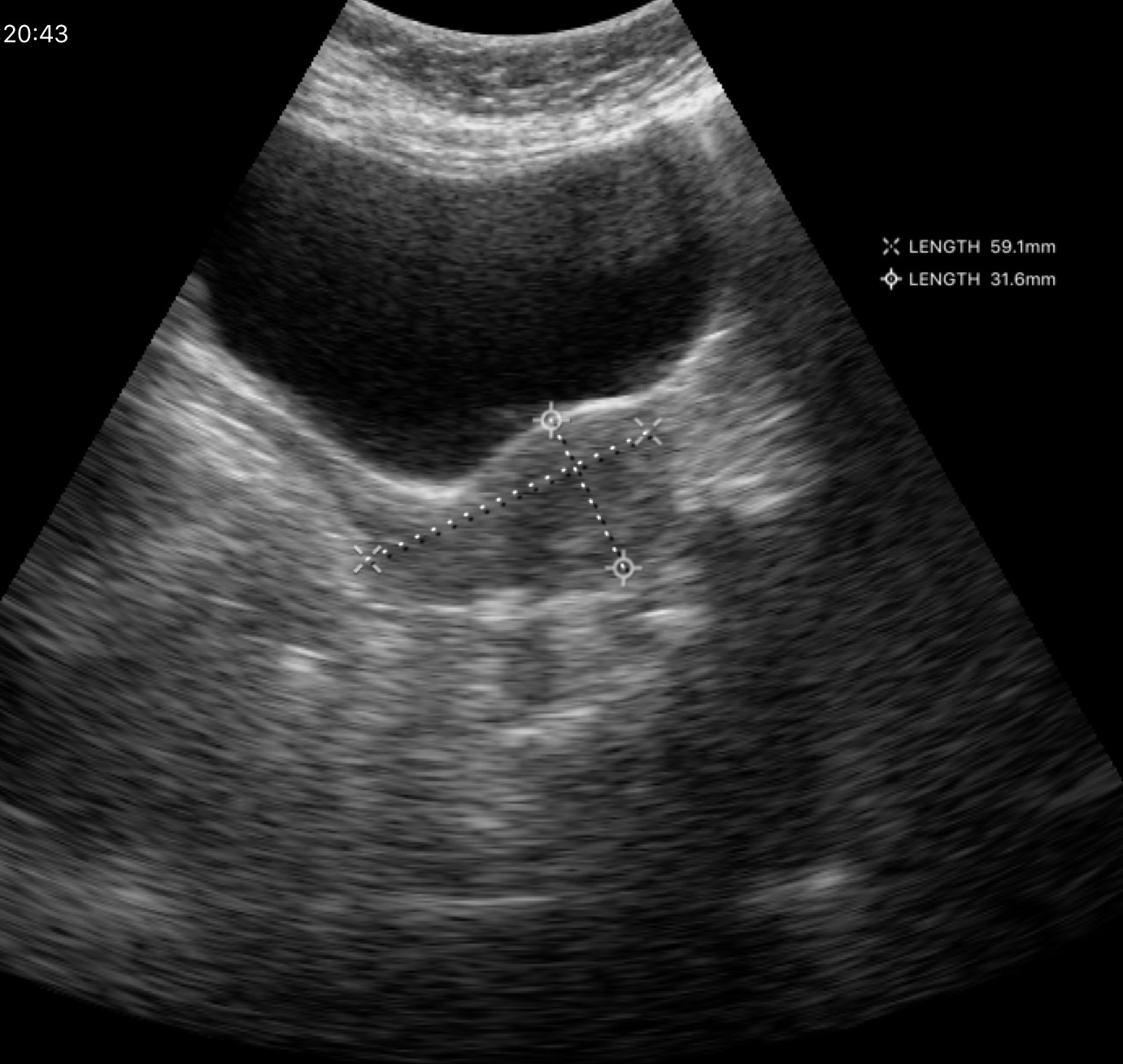
* modality — genitourinary ultrasound